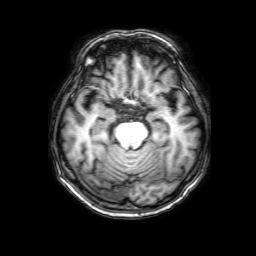
Summary: 3 Tesla brain MRI. Series: 3D T1-weighted with SENSE. Study: ring-enhancing brain masses.